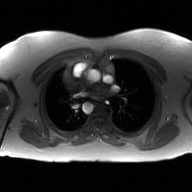
Summary: 2D phase-contrast cine MRI of the ascending aorta, GAN super-resolution reconstruction.